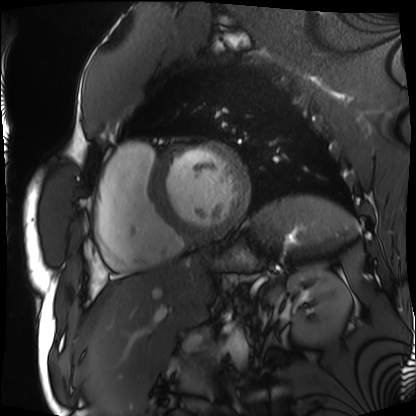
Cardiac MRI. Subject group: patient.